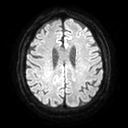
3 Tesla brain MRI. Series: diffusion tensor imaging (medium iso). Study: ring-enhancing brain masses.